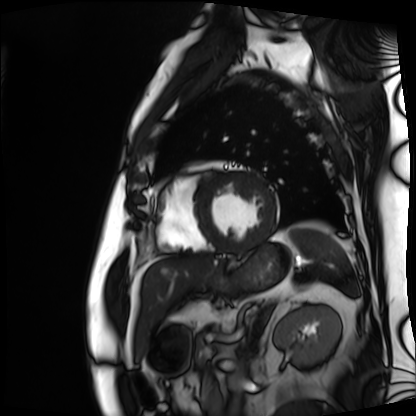
Summary:
Cardiac MRI. Subject group: patient.